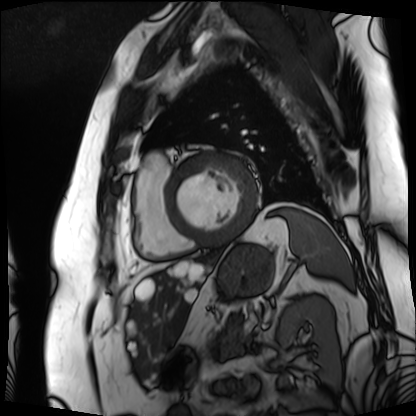
Summary:
Cardiac MRI. Subject group: patient.